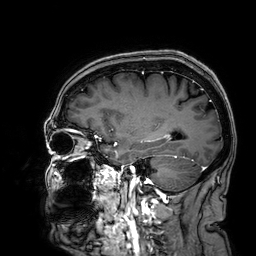
modality: 3 Tesla brain MRI
series: 3D T1-weighted
study: ring-enhancing brain masses